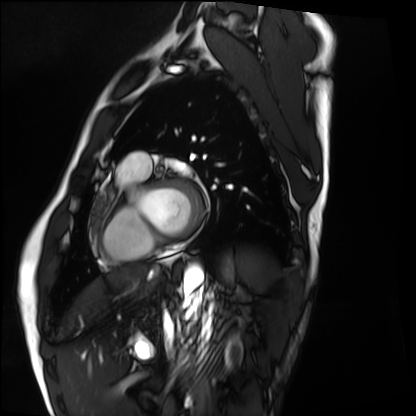
Cardiac MRI. Subject group: healthy volunteer.